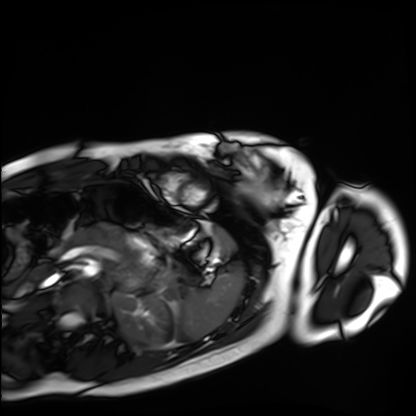
<record>
  <modality>cardiac MRI</modality>
  <cohort>healthy volunteer</cohort>
</record>